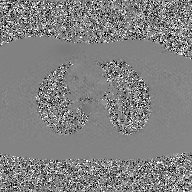
2D phase-contrast cine MRI of the ascending aorta, GAN super-resolution reconstruction.